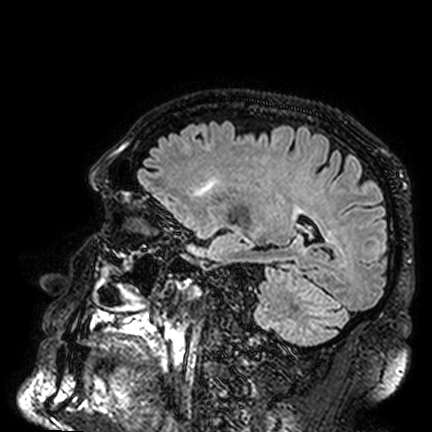
3 Tesla brain MRI.
Series: FLAIR VISTA.
Study: ring-enhancing brain masses.